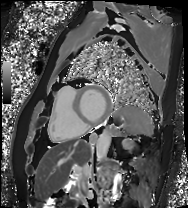
{"modality": "cardiac MRI", "cohort": "patient"}